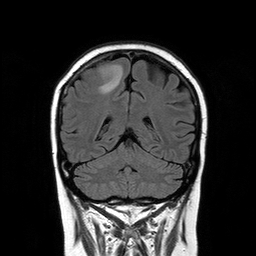
Summary:
3 Tesla brain MRI. Series: T2-weighted FLAIR. Study: ring-enhancing brain masses.